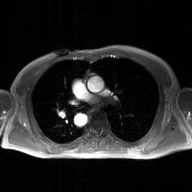
2D phase-contrast cine MRI of the ascending aorta, GAN super-resolution reconstruction.